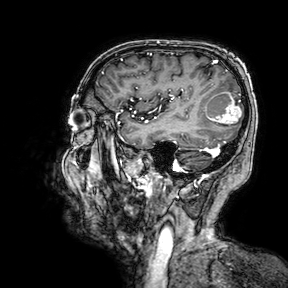
| field | value |
|---|---|
| modality | 3 Tesla brain MRI |
| series | 3D T1-weighted turbo field echo with SENSE |
| study | ring-enhancing brain masses |